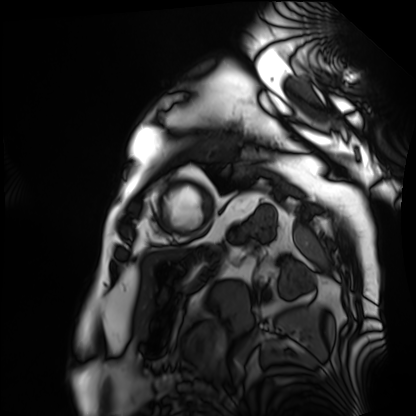
modality = cardiac MRI, subject group = patient.